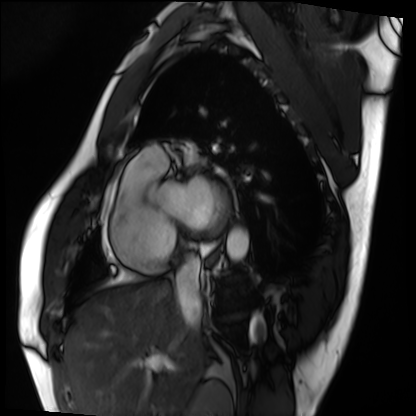
Cardiac MRI.
Subject group: patient.